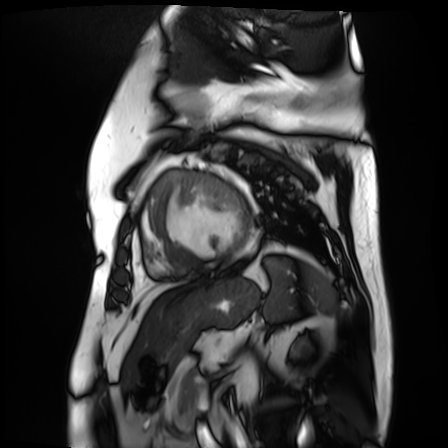
Q: What kind of scan is this?
A: Cardiac MR image of the myocardium.
Subject cohort: cardiac patient.